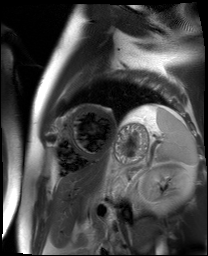
Cardiac MR image of the myocardium. Subject cohort: cardiac patient.